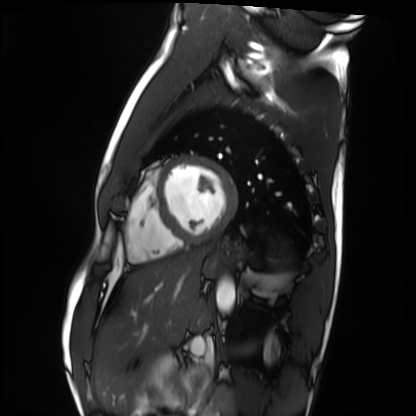
Case:
• modality · cardiac MRI
• subject group · healthy volunteer